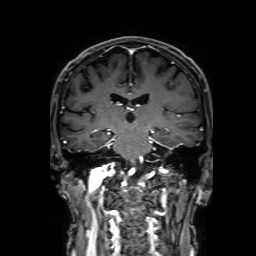
Q: What kind of scan is this?
A: 3 Tesla brain MRI.
Q: Series?
A: 3D T1-weighted with SENSE.
Study: ring-enhancing brain masses.